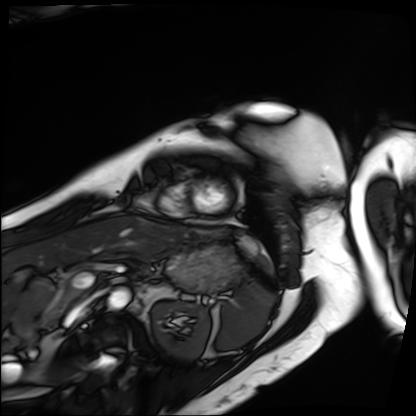
| field | value |
|---|---|
| modality | cardiac MRI |
| subject group | patient |